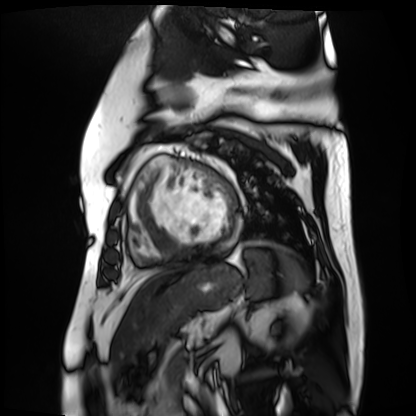
modality: cardiac MR image of the myocardium; subject cohort: cardiac patient.